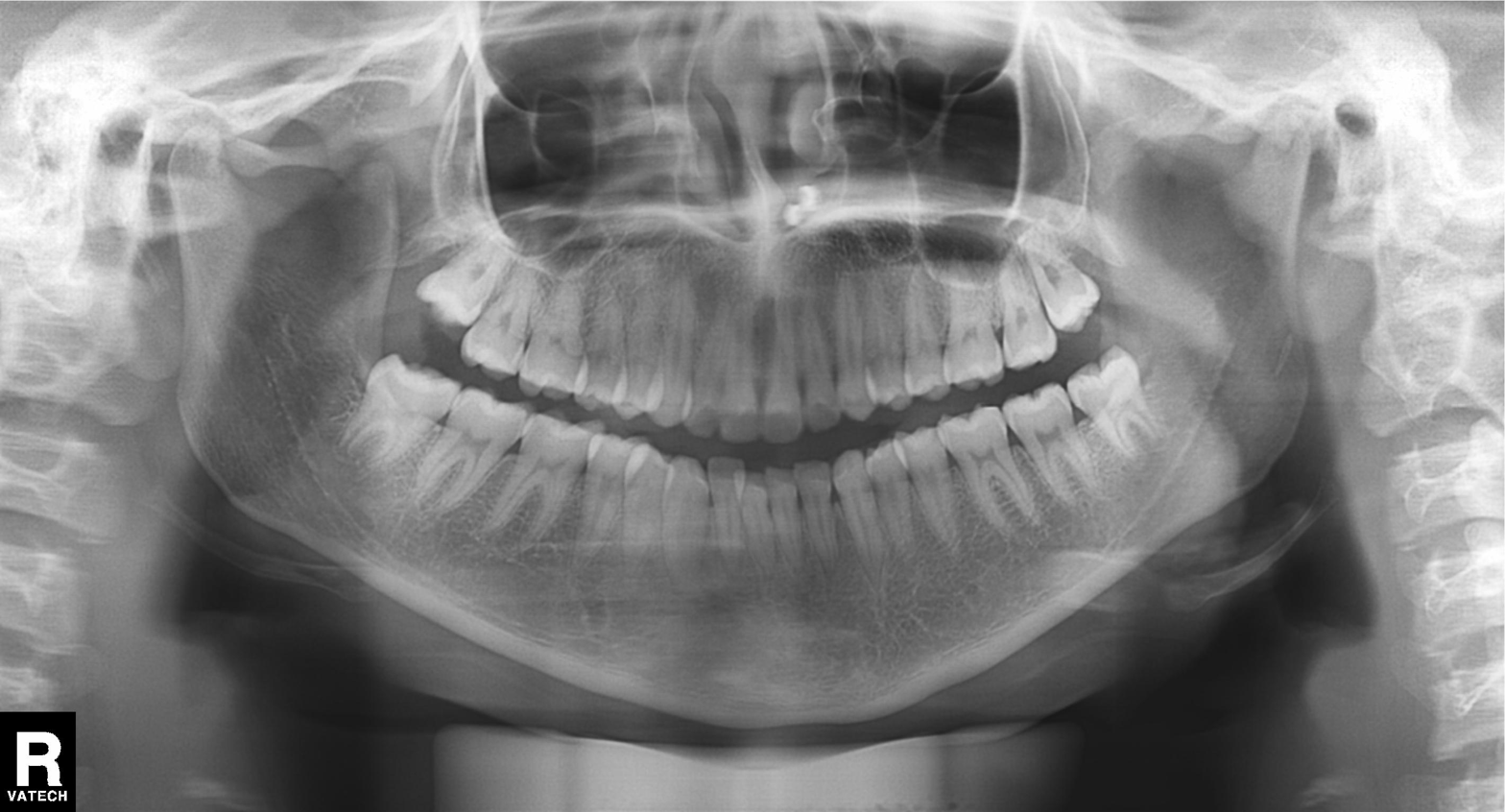
Panoramic dental radiograph (orthopantomogram). Finding: dental caries (cavities).